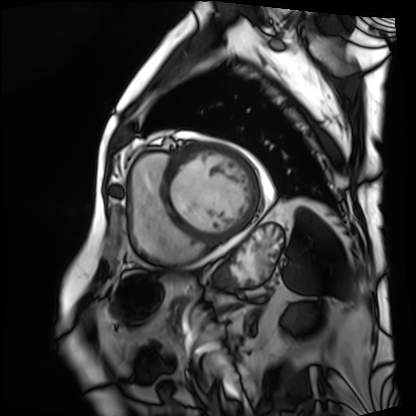
<scan>
  <modality>cardiac MRI</modality>
  <cohort>patient</cohort>
</scan>